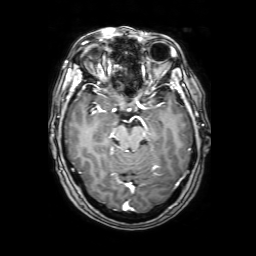
Q: What kind of scan is this?
A: 3 Tesla brain MRI.
Q: Series?
A: 3D T1-weighted with SENSE.
Study: ring-enhancing brain masses.